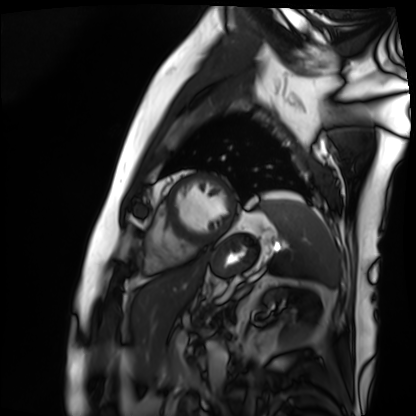
modality: cardiac MRI; subject group: patient.